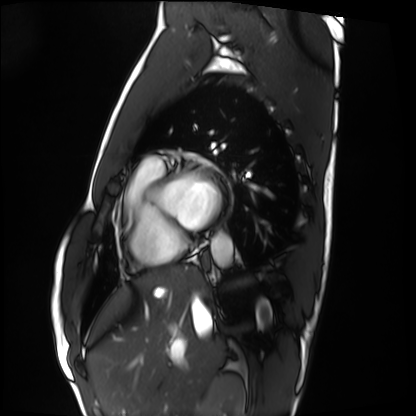
  modality: cardiac MRI
  cohort: healthy volunteer